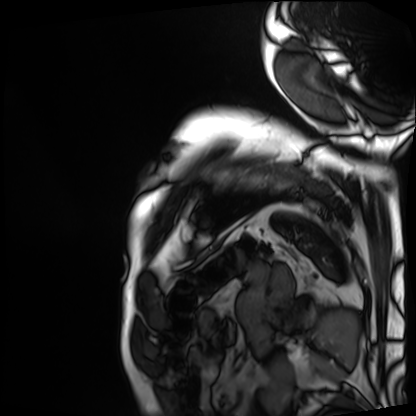
Cardiac MRI.
Subject group: patient.